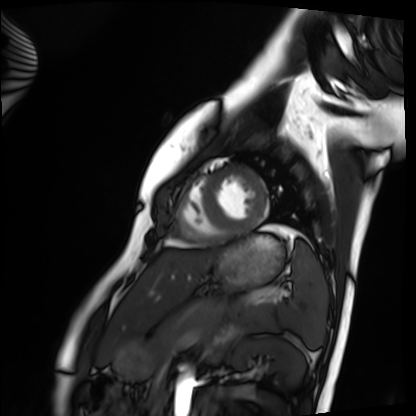
Summary:
Cardiac MRI. Subject group: healthy volunteer.